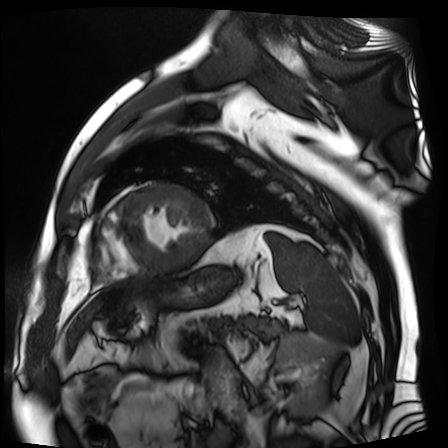
| field | value |
|---|---|
| modality | cardiac MR image of the myocardium |
| subject cohort | cardiac patient |